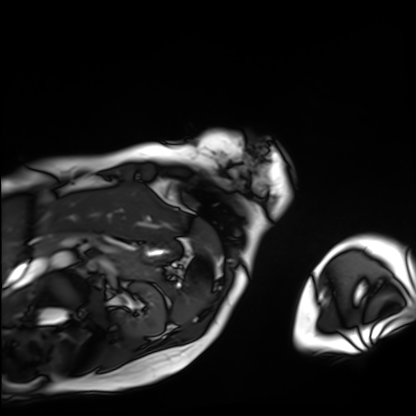
  modality: cardiac MRI
  cohort: patient